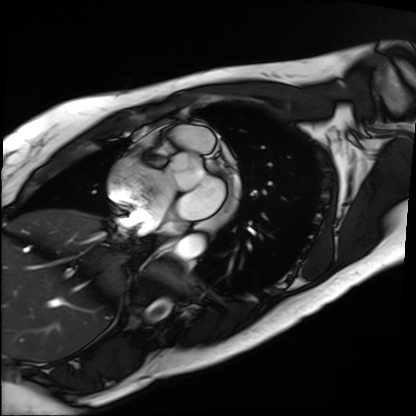
Case summary: Cardiac MRI. Subject group: patient.